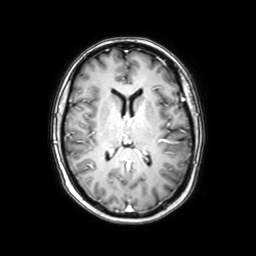
3 Tesla brain MRI.
Series: axial with contrast.
Study: ring-enhancing brain masses.